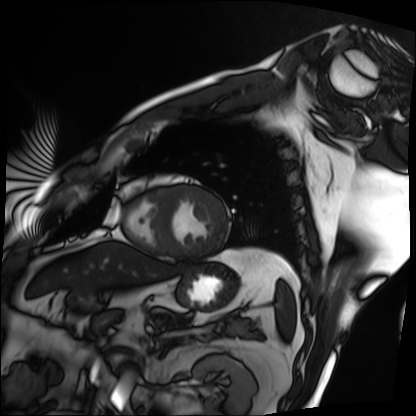
modality: cardiac MRI; subject group: patient.